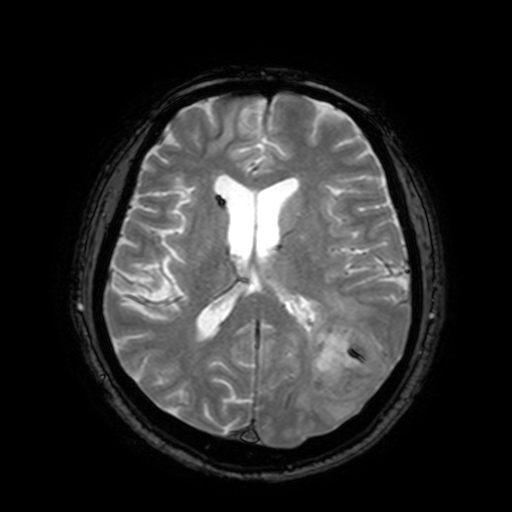
modality = 3 Tesla brain MRI
series = T2-weighted fast field echo with SENSE
study = ring-enhancing brain masses